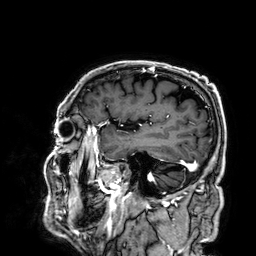
3 Tesla brain MRI.
Series: 3D T1-weighted.
Study: ring-enhancing brain masses.